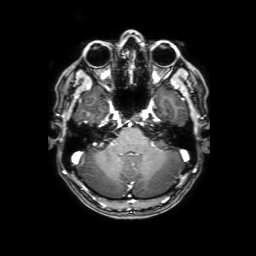
modality: 3 Tesla brain MRI
series: 3D T1-weighted with SENSE
study: ring-enhancing brain masses